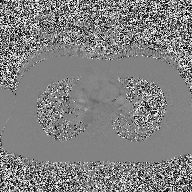
{"modality": {"type": "2D phase-contrast cine MRI", "region": "ascending aorta", "reconstruction": "high-resolution GRAPPA acquisition"}}